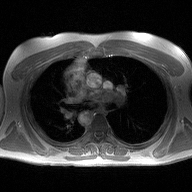
2D phase-contrast cine MRI of the ascending aorta, high-resolution GRAPPA acquisition.